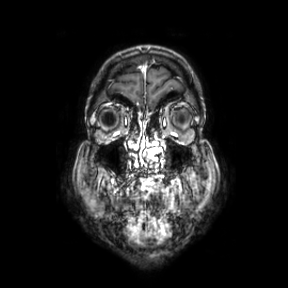
3 Tesla brain MRI. Series: coronal. Study: ring-enhancing brain masses.